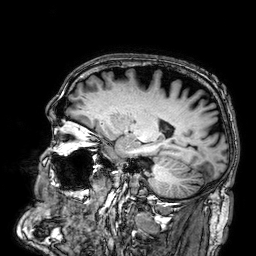
  modality:
    type: brain MRI
    field_strength: 3T
  series: 3D T1-weighted
  study_topic: ring-enhancing brain masses